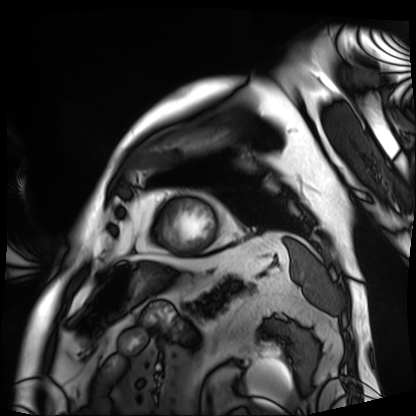
Summary:
Cardiac MRI. Subject group: patient.